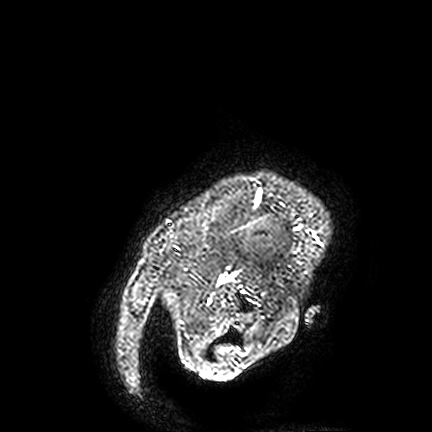
<study>
<modality>
  <type>brain MRI</type>
  <field_strength>3T</field_strength>
</modality>
<series>FLAIR VISTA</series>
<study_topic>ring-enhancing brain masses</study_topic>
</study>